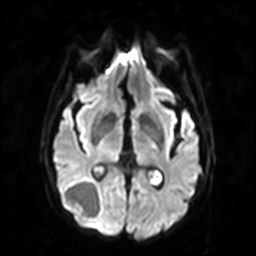
Case summary:
3 Tesla brain MRI. Series: diffusion-weighted imaging. Study: ring-enhancing brain masses.